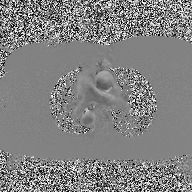
- modality · 2D phase-contrast cine MRI of the ascending aorta